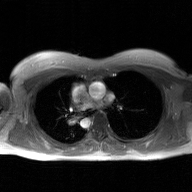
<study>
  <modality>
    <type>2D phase-contrast cine MRI</type>
    <region>ascending aorta</region>
    <reconstruction>GAN super-resolution reconstruction</reconstruction>
  </modality>
</study>